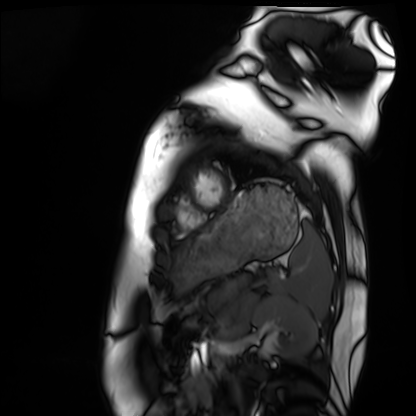
modality: cardiac MRI
subject group: healthy volunteer